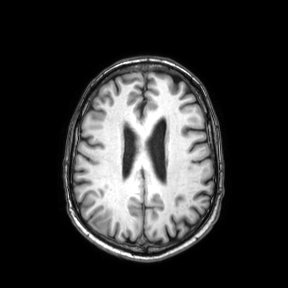
3 Tesla brain MRI. Series: axial. Study: ring-enhancing brain masses.